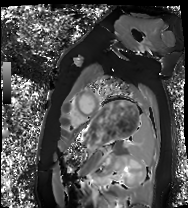
Q: What kind of scan is this?
A: Cardiac MRI.
Subject group: healthy volunteer.